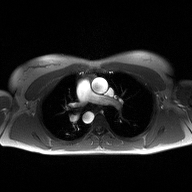
<study>
  <modality>
    <type>2D phase-contrast cine MRI</type>
    <region>ascending aorta</region>
    <reconstruction>high-resolution GRAPPA acquisition</reconstruction>
  </modality>
</study>